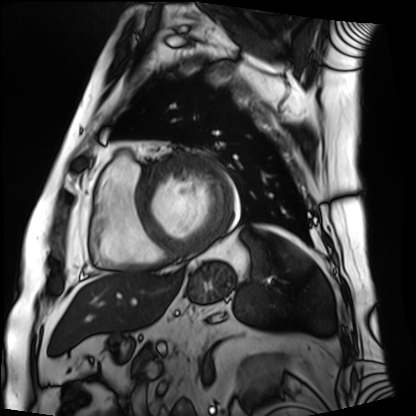
Cardiac MRI. Subject group: patient.